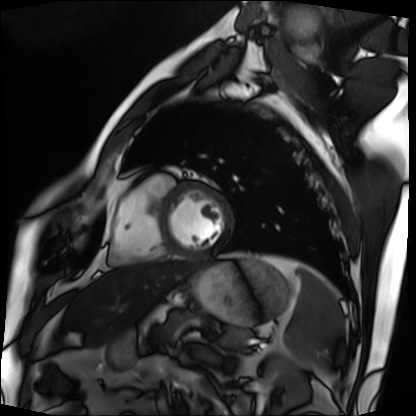
Q: What kind of scan is this?
A: Cardiac MRI.
Subject group: patient.